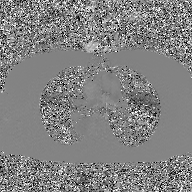
Summary:
2D phase-contrast cine MRI of the ascending aorta, GAN super-resolution reconstruction.